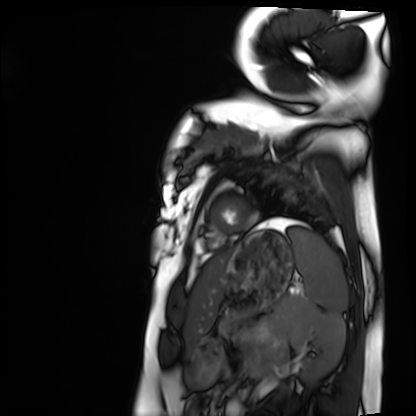
  modality: cardiac MRI
  cohort: healthy volunteer